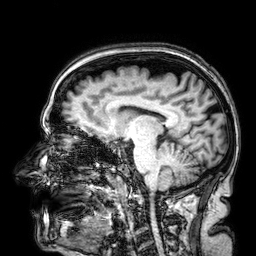
3 Tesla brain MRI. Series: 3D T1-weighted. Study: ring-enhancing brain masses.